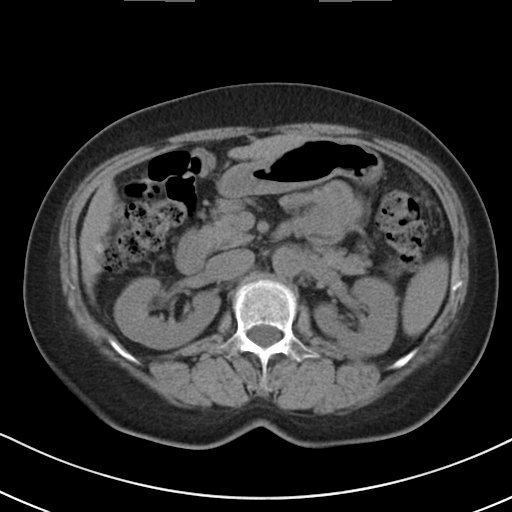
Multiphase abdominal CT, liver, non-contrast phase. Patient: female, age 61.